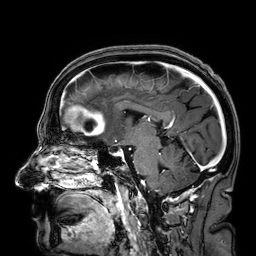
modality — 3 Tesla brain MRI
series — 3D T1-weighted
study — ring-enhancing brain masses